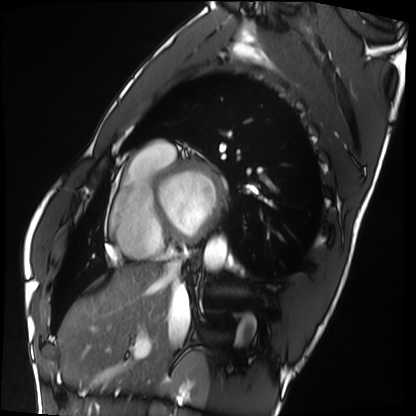
Cardiac MRI. Subject group: healthy volunteer.